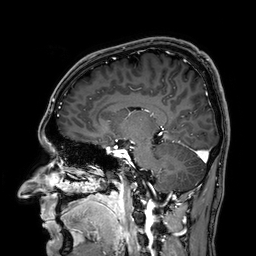
<case>
  <modality>
    <type>brain MRI</type>
    <field_strength>3T</field_strength>
  </modality>
  <series>3D T1-weighted</series>
  <study_topic>ring-enhancing brain masses</study_topic>
</case>